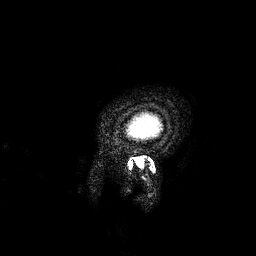
modality = 3 Tesla brain MRI; series = 3D T1-weighted; study = ring-enhancing brain masses.